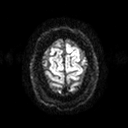
3 Tesla brain MRI. Series: diffusion tensor imaging (medium iso). Study: ring-enhancing brain masses.